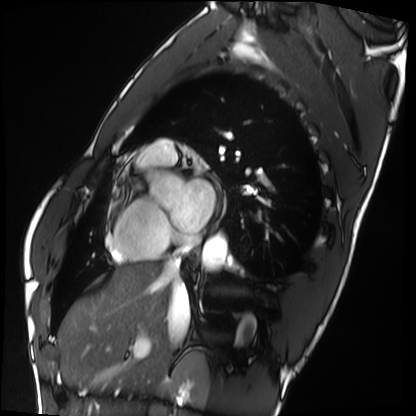
Clinical context:
Cardiac MRI. Subject group: healthy volunteer.